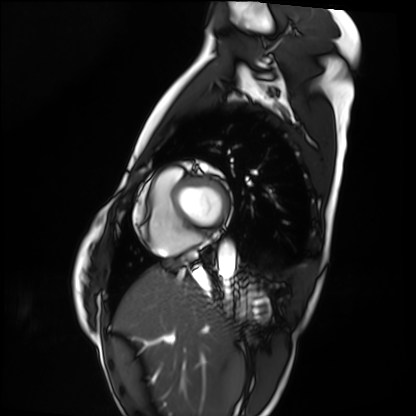
modality = cardiac MRI | subject group = healthy volunteer.